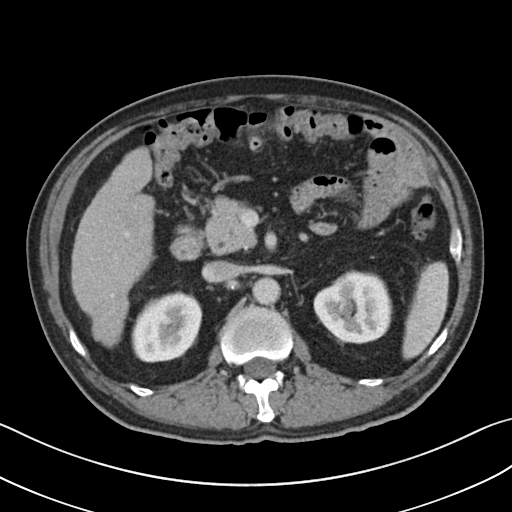
Multiphase abdominal CT, liver, portal venous phase. Patient: male, age 60. History: cirrhosis.